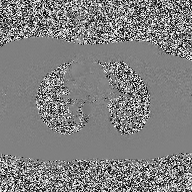
Summary:
2D phase-contrast cine MRI of the ascending aorta, high-resolution GRAPPA acquisition.